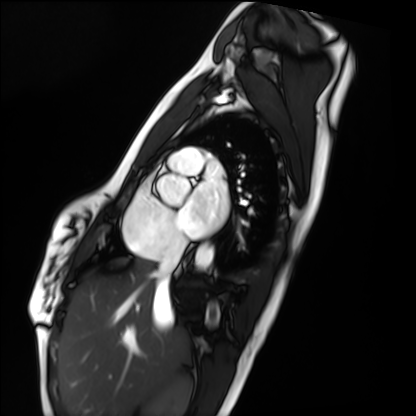
modality: cardiac MRI
cohort: healthy volunteer